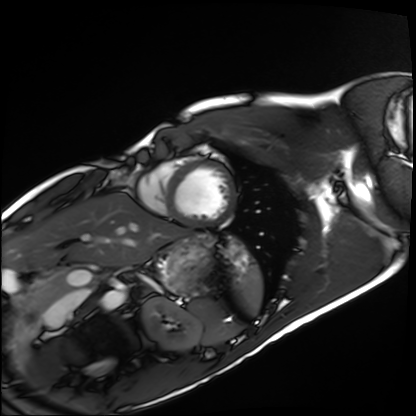
Cardiac MRI. Subject group: healthy volunteer.